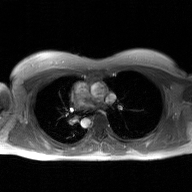
Clinical context: 2D phase-contrast cine MRI of the ascending aorta, GAN super-resolution reconstruction.